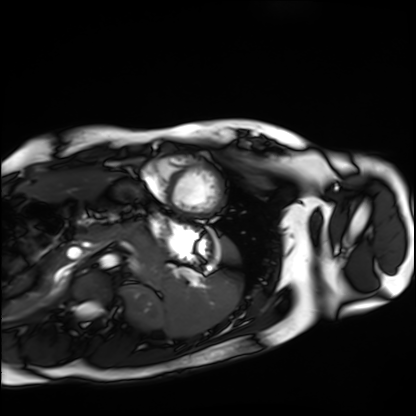
Cardiac MRI. Subject group: healthy volunteer.